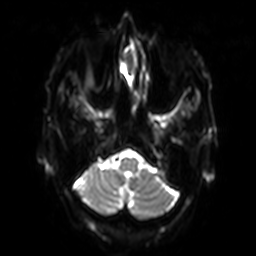
3 Tesla brain MRI.
Series: diffusion-weighted imaging with SENSE (WIP).
Study: ring-enhancing brain masses.